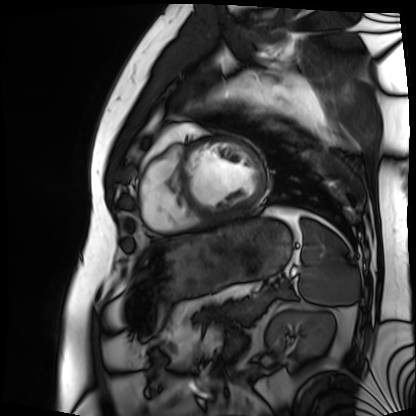
modality: cardiac MRI; subject group: patient.